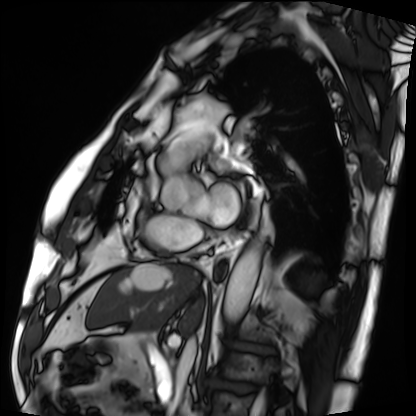
| field | value |
|---|---|
| modality | cardiac MRI |
| subject group | patient |